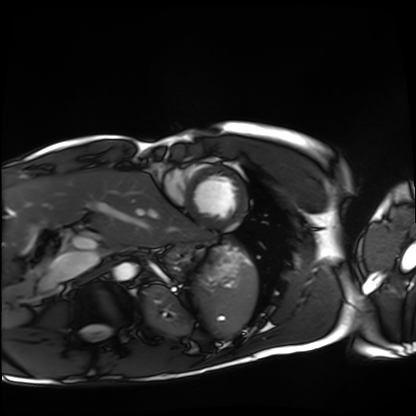
Cardiac MRI.
Subject group: healthy volunteer.